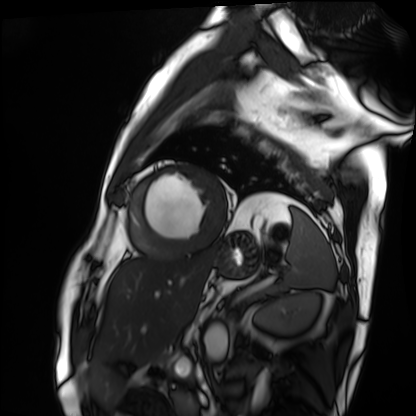
– modality: cardiac MRI
– subject group: patient